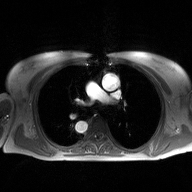
2D phase-contrast cine MRI of the ascending aorta, high-resolution GRAPPA acquisition.